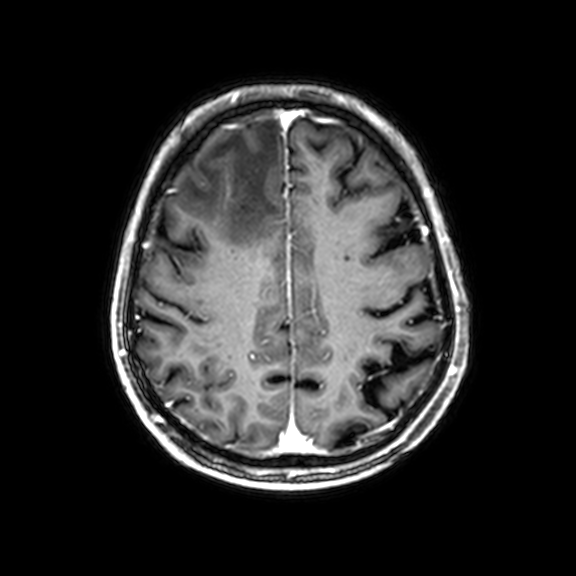
modality=3 Tesla brain MRI; series=3D T1-weighted with CLEAR; study=ring-enhancing brain masses.